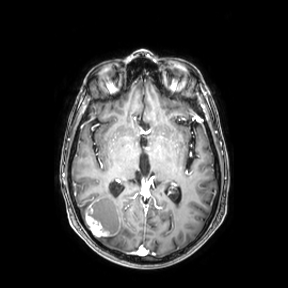
modality — 3 Tesla brain MRI | series — axial | study — ring-enhancing brain masses.